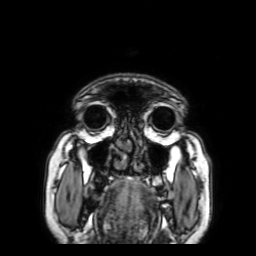
Clinical context:
3 Tesla brain MRI. Series: 3D T1-weighted with SENSE. Study: ring-enhancing brain masses.